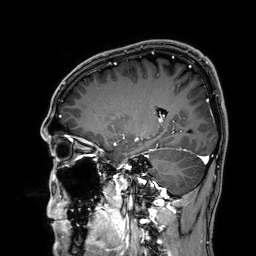
{"modality": {"type": "brain MRI", "field_strength": "3T"}, "series": "3D T1-weighted", "study_topic": "ring-enhancing brain masses"}